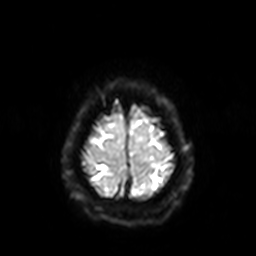
modality = 3 Tesla brain MRI | series = diffusion-weighted imaging with SENSE (WIP) | study = ring-enhancing brain masses.